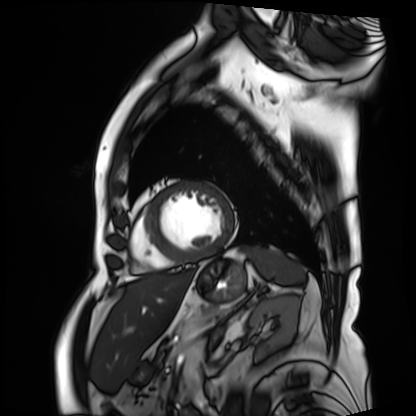
Cardiac MRI. Subject group: patient.